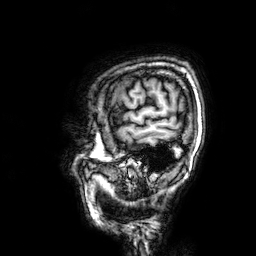
3 Tesla brain MRI. Series: 3D T1-weighted. Study: ring-enhancing brain masses.